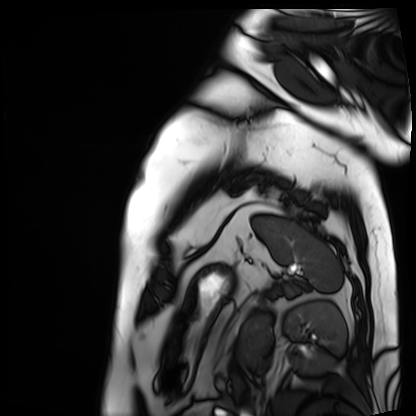
{
  "modality": "cardiac MRI",
  "cohort": "patient"
}